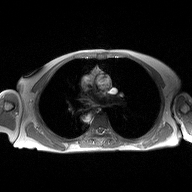
Case:
* modality — 2D phase-contrast cine MRI of the ascending aorta